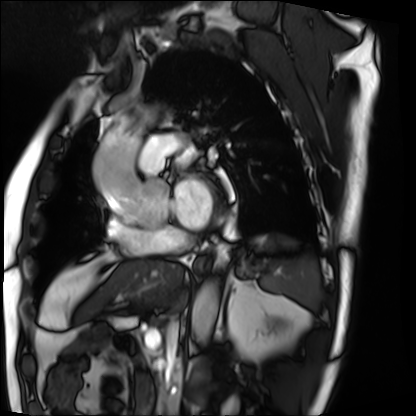
Case:
- modality: cardiac MRI
- subject group: patient